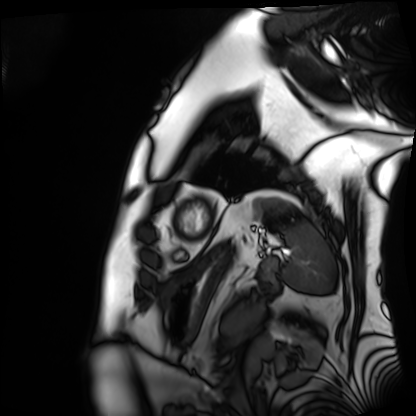
Summary:
Cardiac MRI. Subject group: patient.